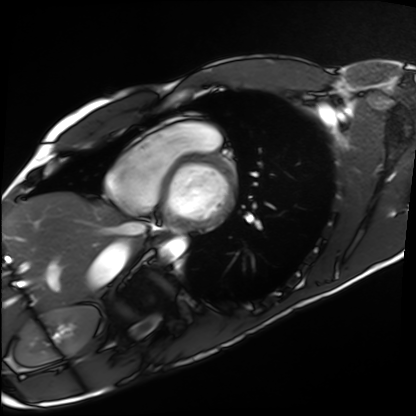
Case summary:
Cardiac MRI. Subject group: healthy volunteer.